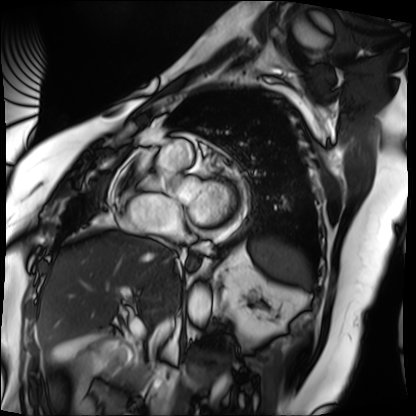
Case:
- modality — cardiac MRI
- subject group — patient